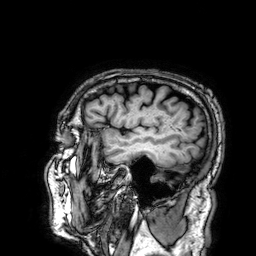
modality=3 Tesla brain MRI | series=3D T1-weighted | study=ring-enhancing brain masses.